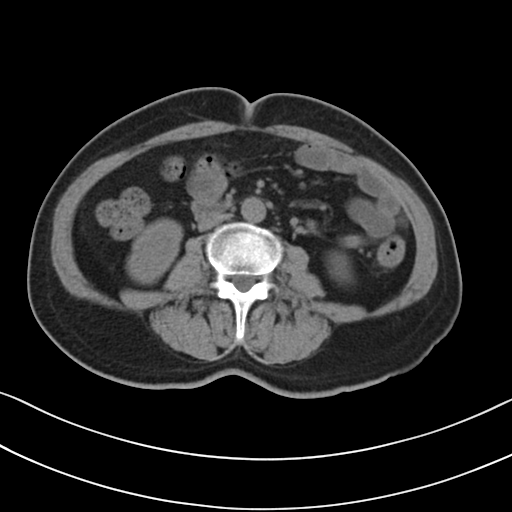
• modality: multiphase abdominal CT, liver, non-contrast phase
• patient: female, age 58
• history: prior chemotherapy